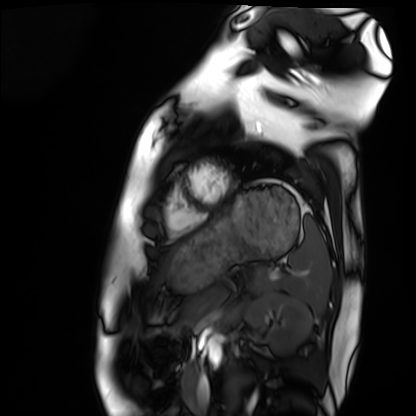
modality = cardiac MRI, subject group = healthy volunteer.